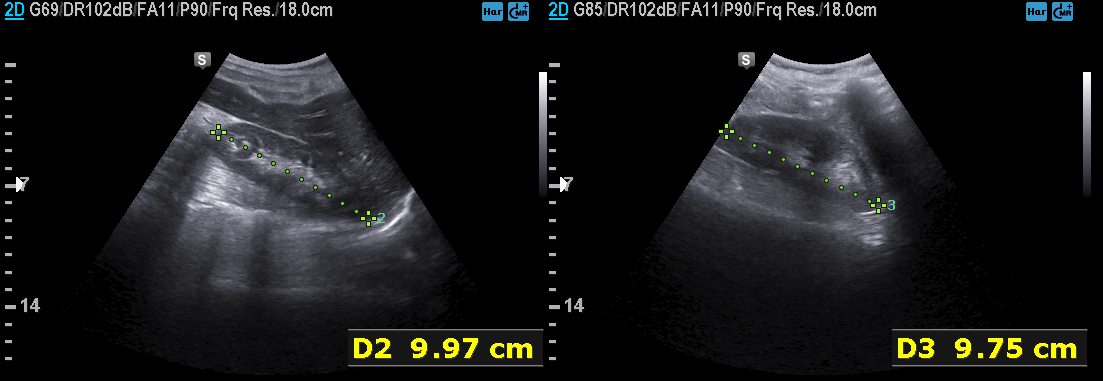
Genitourinary ultrasound.